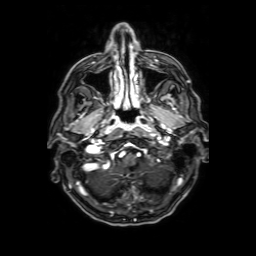
Case:
• modality: 3 Tesla brain MRI
• series: axial T1-weighted fusion image
• study: ring-enhancing brain masses